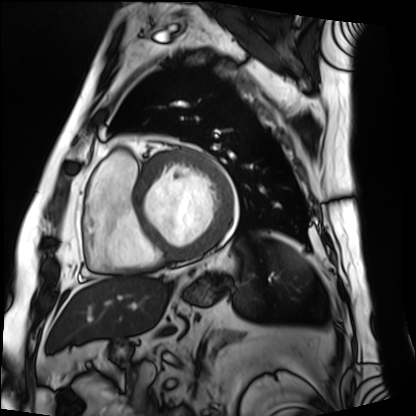
Summary:
Cardiac MRI. Subject group: patient.